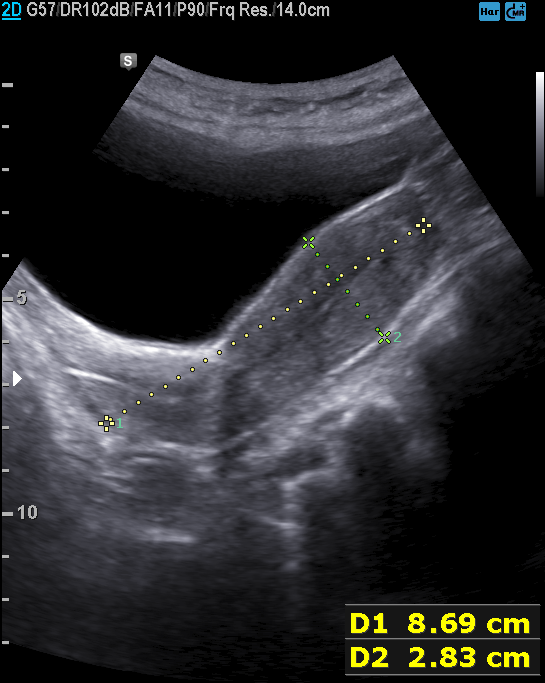
Case summary: Genitourinary ultrasound.